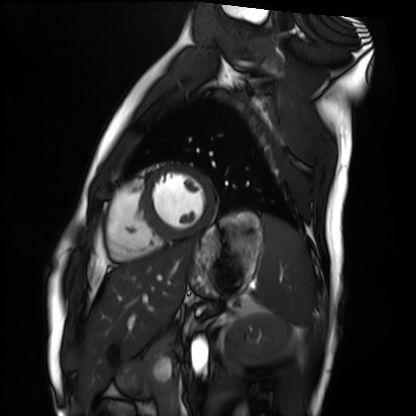
Cardiac MRI. Subject group: healthy volunteer.